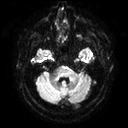
Case summary:
3 Tesla brain MRI. Series: diffusion tensor imaging (medium iso). Study: ring-enhancing brain masses.